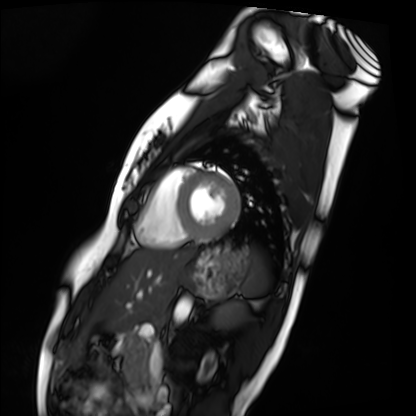
Q: What kind of scan is this?
A: Cardiac MRI.
Subject group: healthy volunteer.